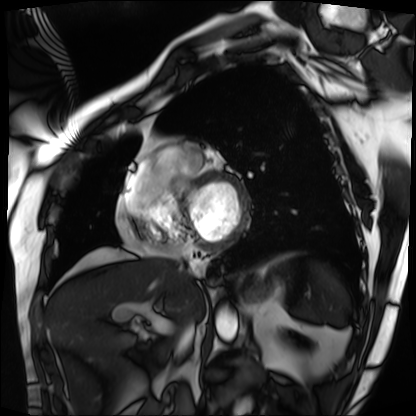
<study>
  <modality>cardiac MRI</modality>
  <cohort>patient</cohort>
</study>